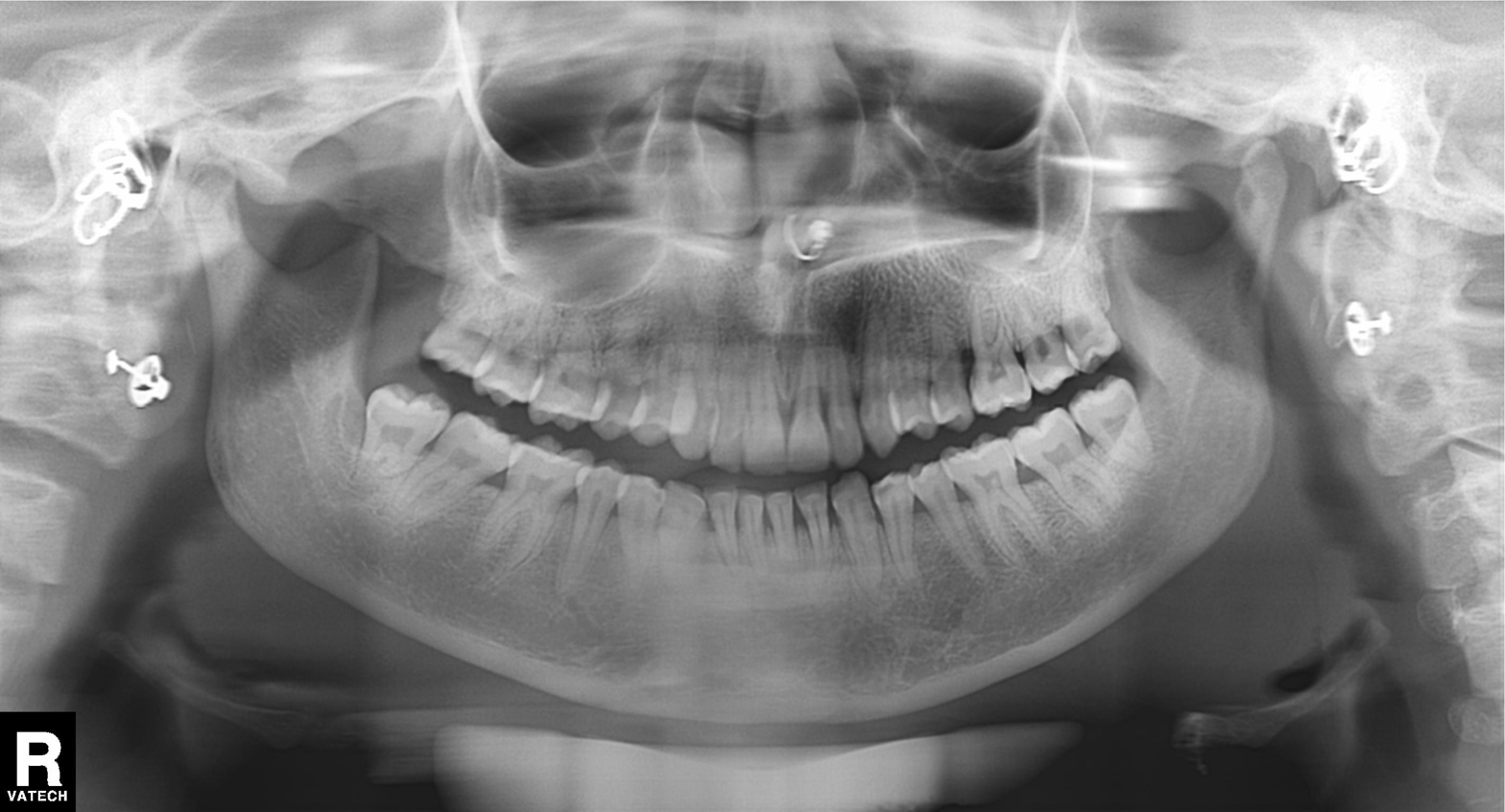
Panoramic dental radiograph (orthopantomogram). Finding: dental caries (cavities).